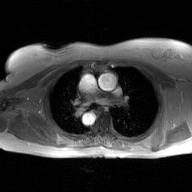
Case summary:
2D phase-contrast cine MRI of the ascending aorta, GAN super-resolution reconstruction.